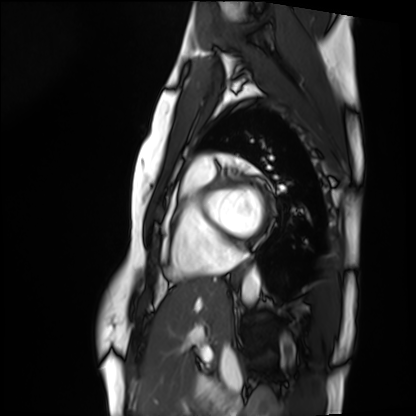
Cardiac MRI. Subject group: healthy volunteer.